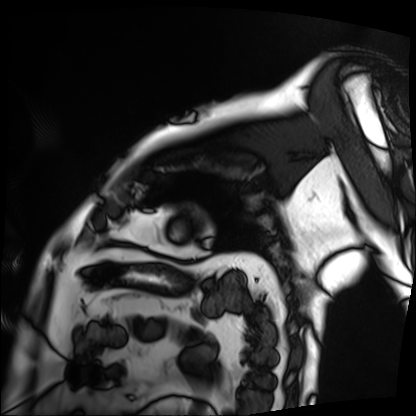
Summary: Cardiac MRI. Subject group: patient.